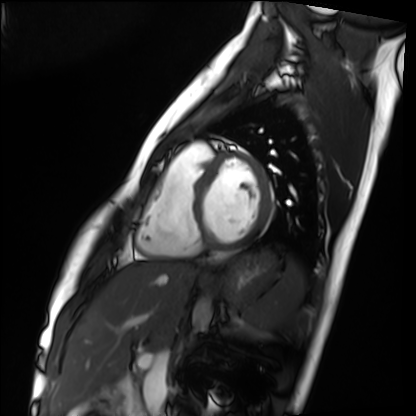
Cardiac MRI. Subject group: healthy volunteer.